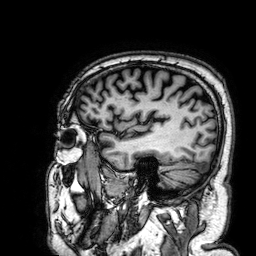
3 Tesla brain MRI.
Series: 3D T1-weighted.
Study: ring-enhancing brain masses.